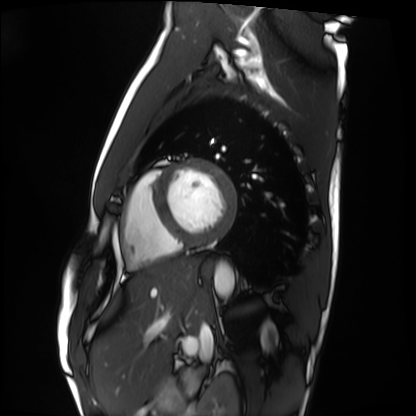
Summary:
Cardiac MRI. Subject group: healthy volunteer.